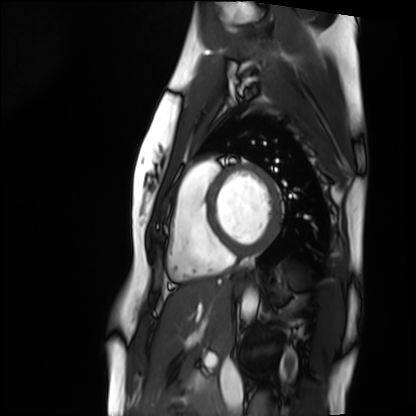
Cardiac MRI. Subject group: healthy volunteer.